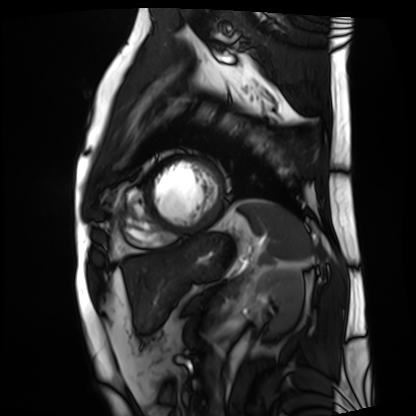
  modality: cardiac MRI
  cohort: patient